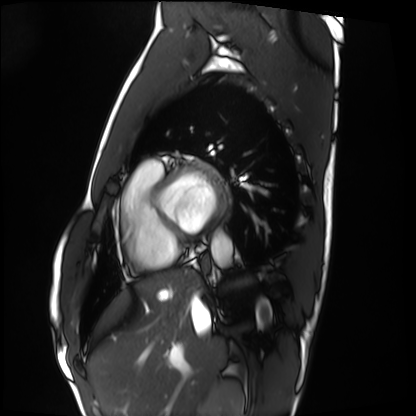
Case:
• modality — cardiac MRI
• subject group — healthy volunteer